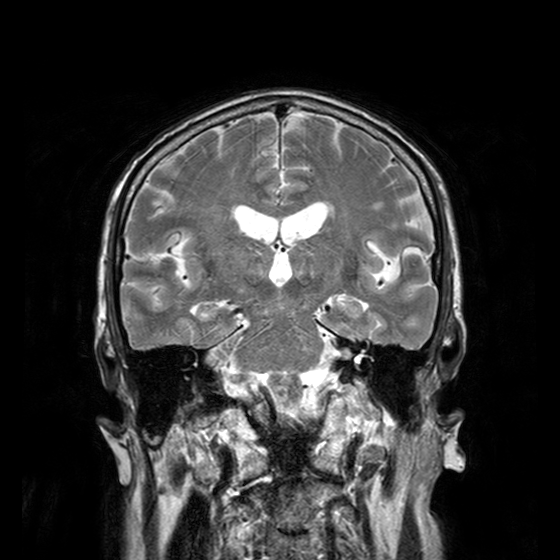
3 Tesla brain MRI.
Series: T2-weighted turbo spin echo with CLEAR.
Study: ring-enhancing brain masses.